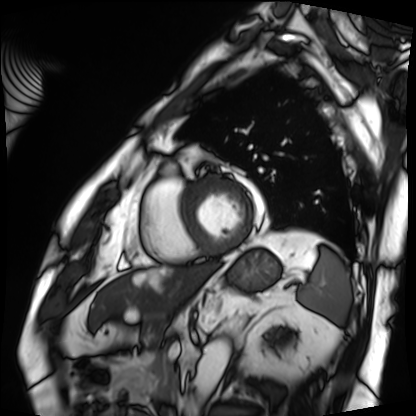
modality: cardiac MRI; subject group: patient.